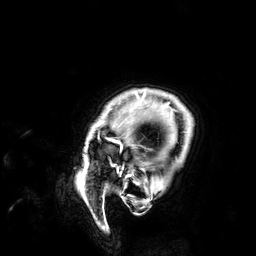
<record>
  <modality>
    <type>brain MRI</type>
    <field_strength>3T</field_strength>
  </modality>
  <series>3D T1-weighted</series>
  <study_topic>ring-enhancing brain masses</study_topic>
</record>